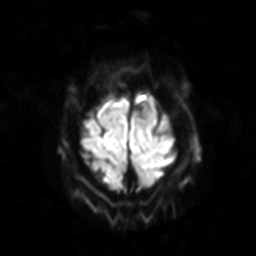
<record>
  <modality>
    <type>brain MRI</type>
    <field_strength>3T</field_strength>
  </modality>
  <series>diffusion-weighted imaging with SENSE (WIP)</series>
  <study_topic>ring-enhancing brain masses</study_topic>
</record>